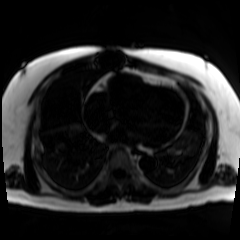
Q: What kind of scan is this?
A: Chemical-shift-encoded cardiac MRI.